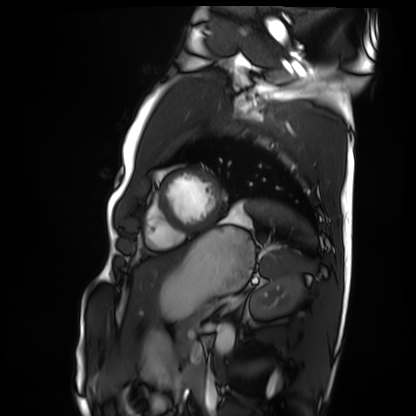
Cardiac MRI. Subject group: healthy volunteer.